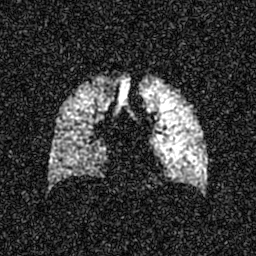
Q: What kind of scan is this?
A: Hyperpolarized 129Xe ventilation MRI of the lungs.
Q: SNR level?
A: 6 of 8 (the deposit holds this scan as its native image and as seven SNR-degraded versions).